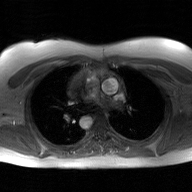
2D phase-contrast cine MRI of the ascending aorta, GAN super-resolution reconstruction.